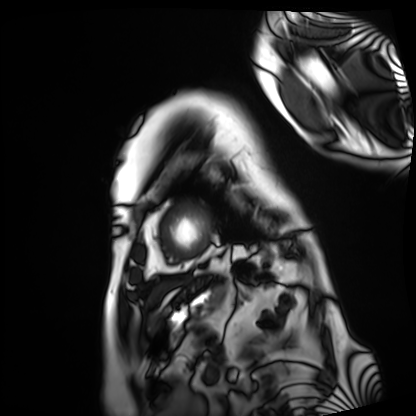
modality = cardiac MRI
subject group = patient